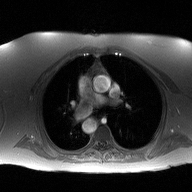
2D phase-contrast cine MRI of the ascending aorta, high-resolution GRAPPA acquisition.